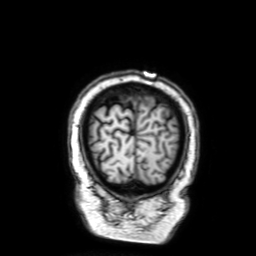
Clinical context: 3 Tesla brain MRI. Series: 3D T1-weighted with SENSE. Study: ring-enhancing brain masses.